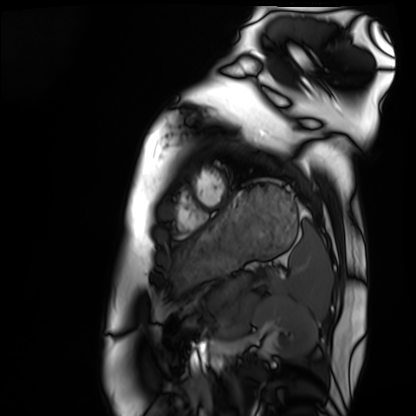
Q: What kind of scan is this?
A: Cardiac MRI.
Subject group: healthy volunteer.